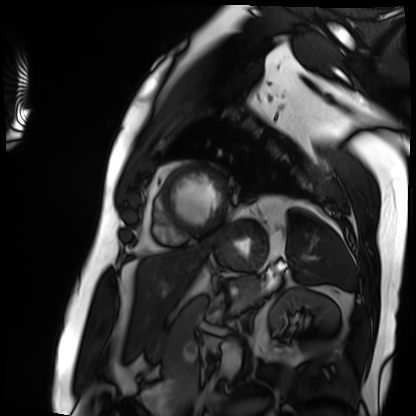
Cardiac MRI.
Subject group: patient.